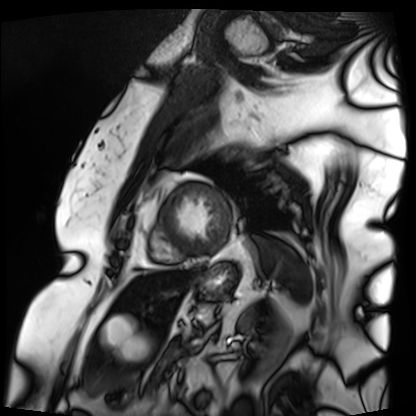
Q: What kind of scan is this?
A: Cardiac MRI.
Subject group: patient.